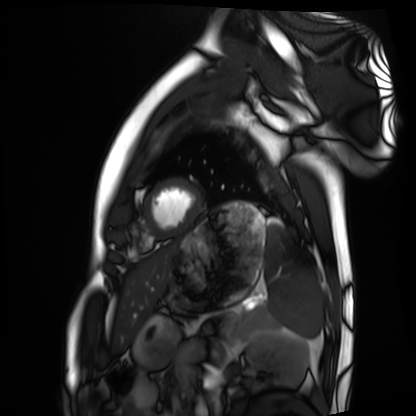
Summary: Cardiac MRI. Subject group: healthy volunteer.